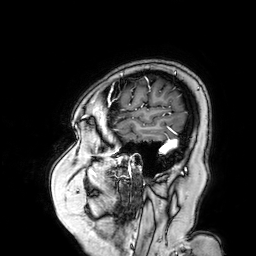
Summary:
3 Tesla brain MRI. Series: 3D T1-weighted turbo field echo with SENSE. Study: ring-enhancing brain masses.